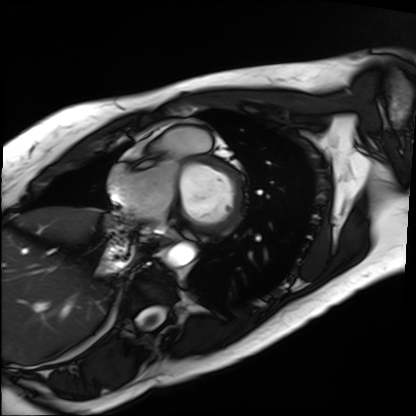
  modality: cardiac MRI
  cohort: patient